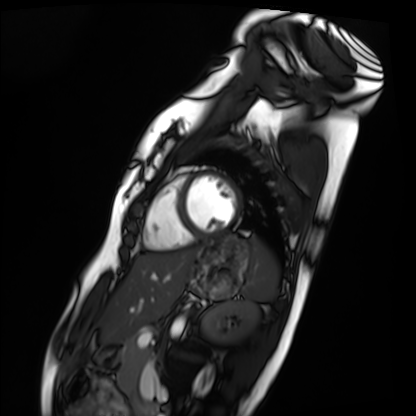
* modality · cardiac MRI
* subject group · healthy volunteer